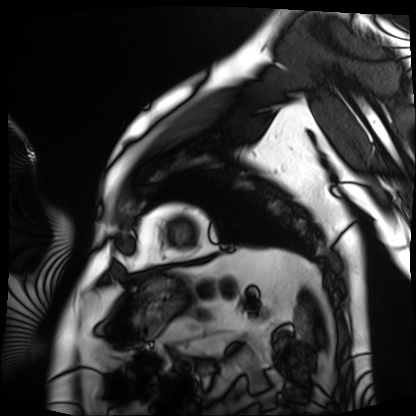
Summary: Cardiac MRI. Subject group: patient.